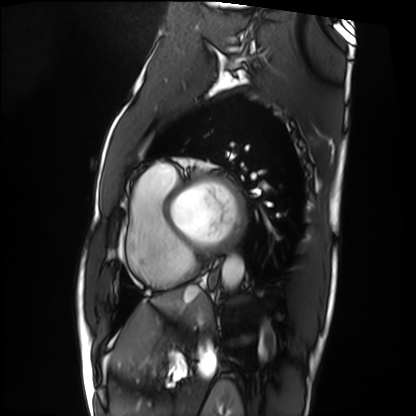
  modality: cardiac MRI
  cohort: patient